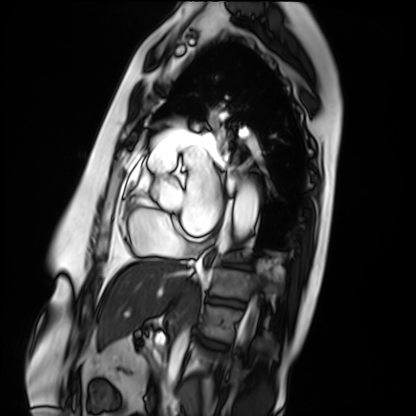
Clinical context: Cardiac MRI. Subject group: patient.